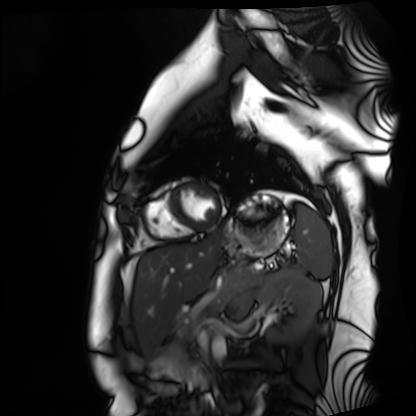
Cardiac MRI. Subject group: healthy volunteer.